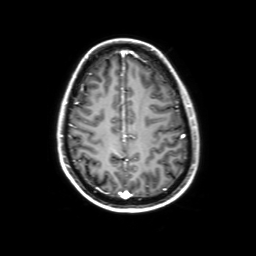
  modality:
    type: brain MRI
    field_strength: 3T
  study_topic: ring-enhancing brain masses